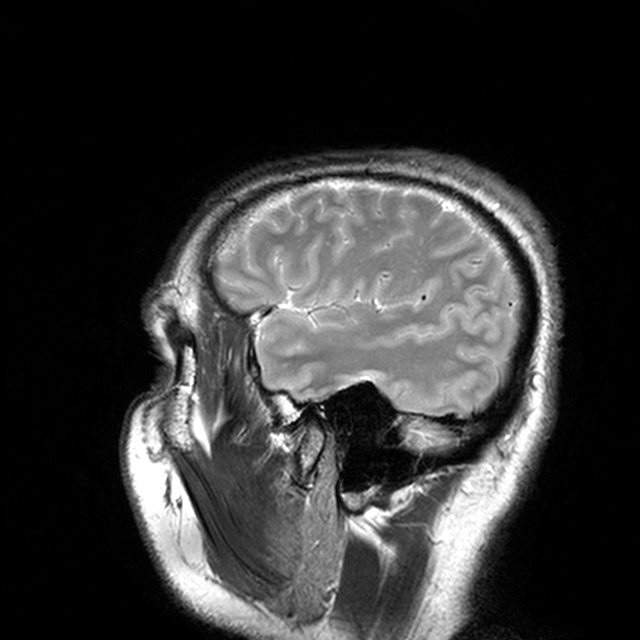
3 Tesla brain MRI.
Series: T2-weighted turbo spin echo with CLEAR.
Study: ring-enhancing brain masses.